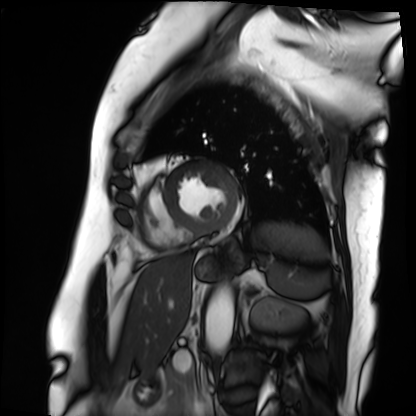
{"modality": "cardiac MRI", "cohort": "patient"}